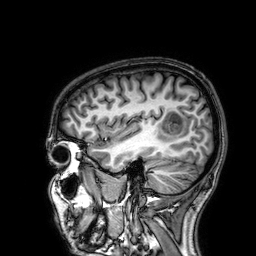
3 Tesla brain MRI.
Series: 3D T1-weighted.
Study: ring-enhancing brain masses.